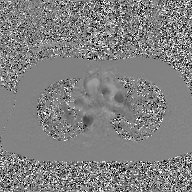
modality=2D phase-contrast cine MRI of the ascending aorta, GAN super-resolution reconstruction.